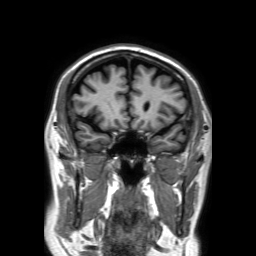
– modality: 3 Tesla brain MRI
– series: 3D T1-weighted TFE with SENSE
– study: ring-enhancing brain masses